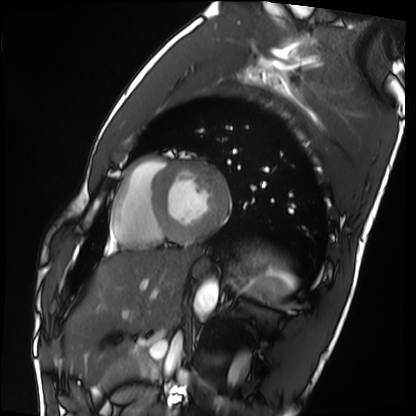
  modality: cardiac MRI
  cohort: healthy volunteer